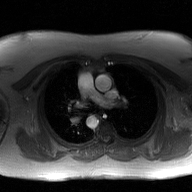
Case:
– modality: 2D phase-contrast cine MRI of the ascending aorta, GAN super-resolution reconstruction